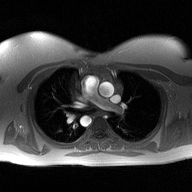
2D phase-contrast cine MRI of the ascending aorta, high-resolution GRAPPA acquisition.